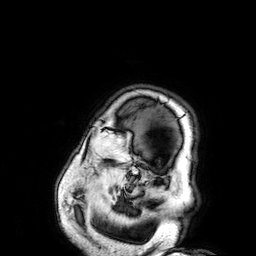
modality: 3 Tesla brain MRI | series: 3D T1-weighted | study: ring-enhancing brain masses.